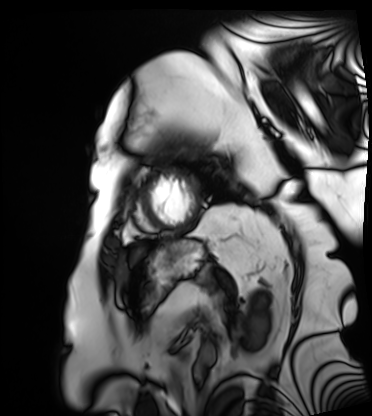
Cardiac MRI. Subject group: patient.